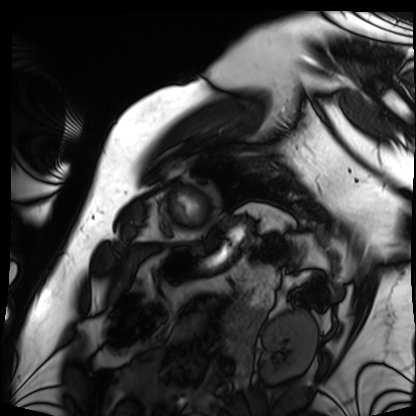
modality: cardiac MRI | subject group: patient.